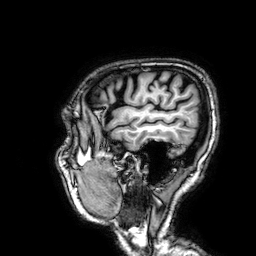
Clinical context: 3 Tesla brain MRI. Series: 3D T1-weighted. Study: ring-enhancing brain masses.